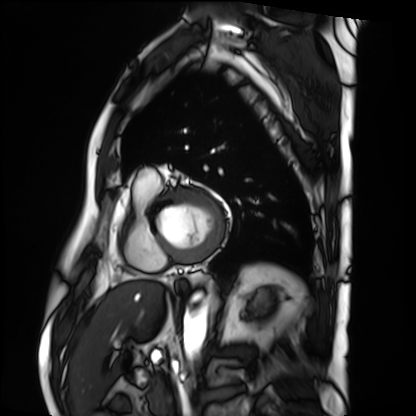
<record>
  <modality>cardiac MRI</modality>
  <cohort>patient</cohort>
</record>